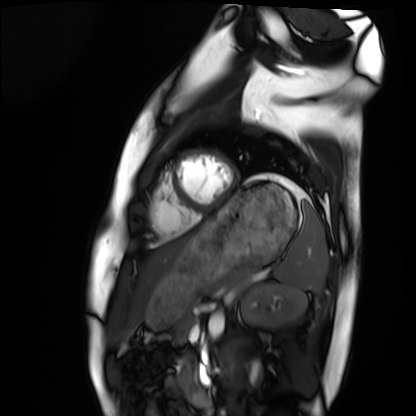
Q: What kind of scan is this?
A: Cardiac MRI.
Subject group: healthy volunteer.